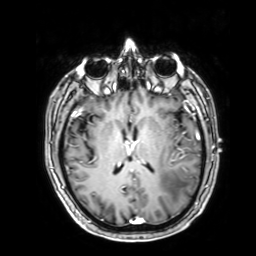
| field | value |
|---|---|
| modality | 3 Tesla brain MRI |
| study | ring-enhancing brain masses |